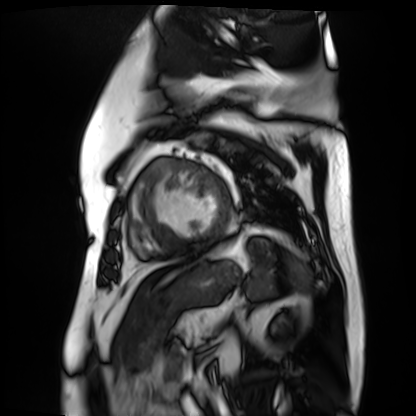
Cardiac MR image of the myocardium. Subject cohort: cardiac patient.